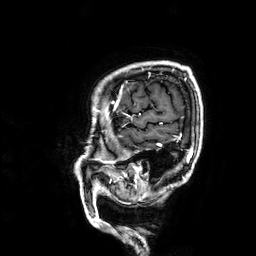
Clinical context:
3 Tesla brain MRI. Series: 3D T1-weighted. Study: ring-enhancing brain masses.